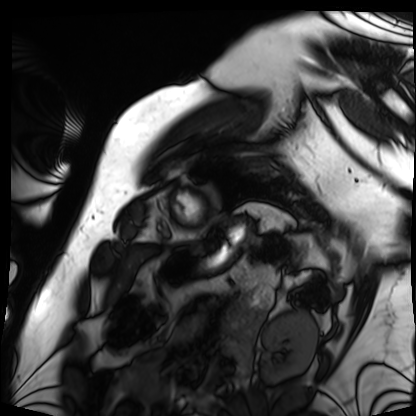
Summary: Cardiac MRI. Subject group: patient.